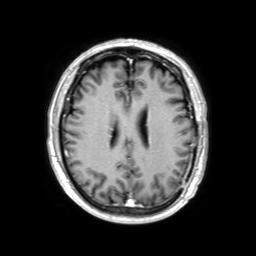
Clinical context: 3 Tesla brain MRI. Series: 3D T1-weighted TFE with SENSE. Study: ring-enhancing brain masses.